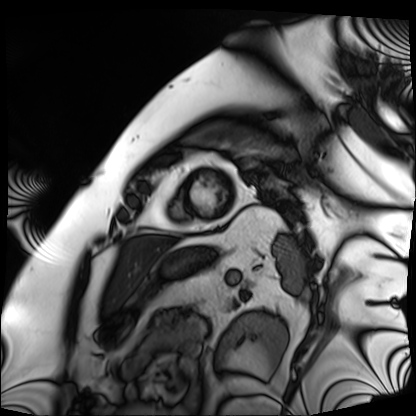
Cardiac MRI. Subject group: patient.